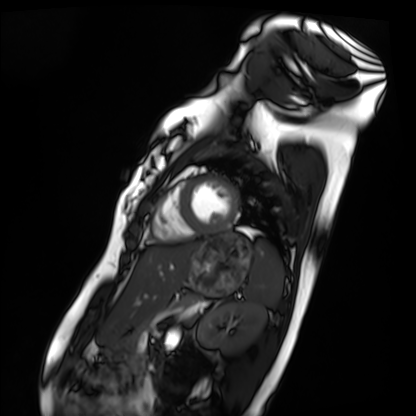
| field | value |
|---|---|
| modality | cardiac MRI |
| subject group | healthy volunteer |